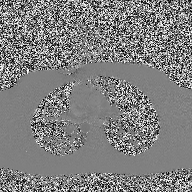
2D phase-contrast cine MRI of the ascending aorta, high-resolution GRAPPA acquisition.